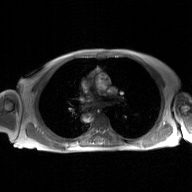
{"modality": {"type": "2D phase-contrast cine MRI", "region": "ascending aorta", "reconstruction": "GAN super-resolution reconstruction"}}